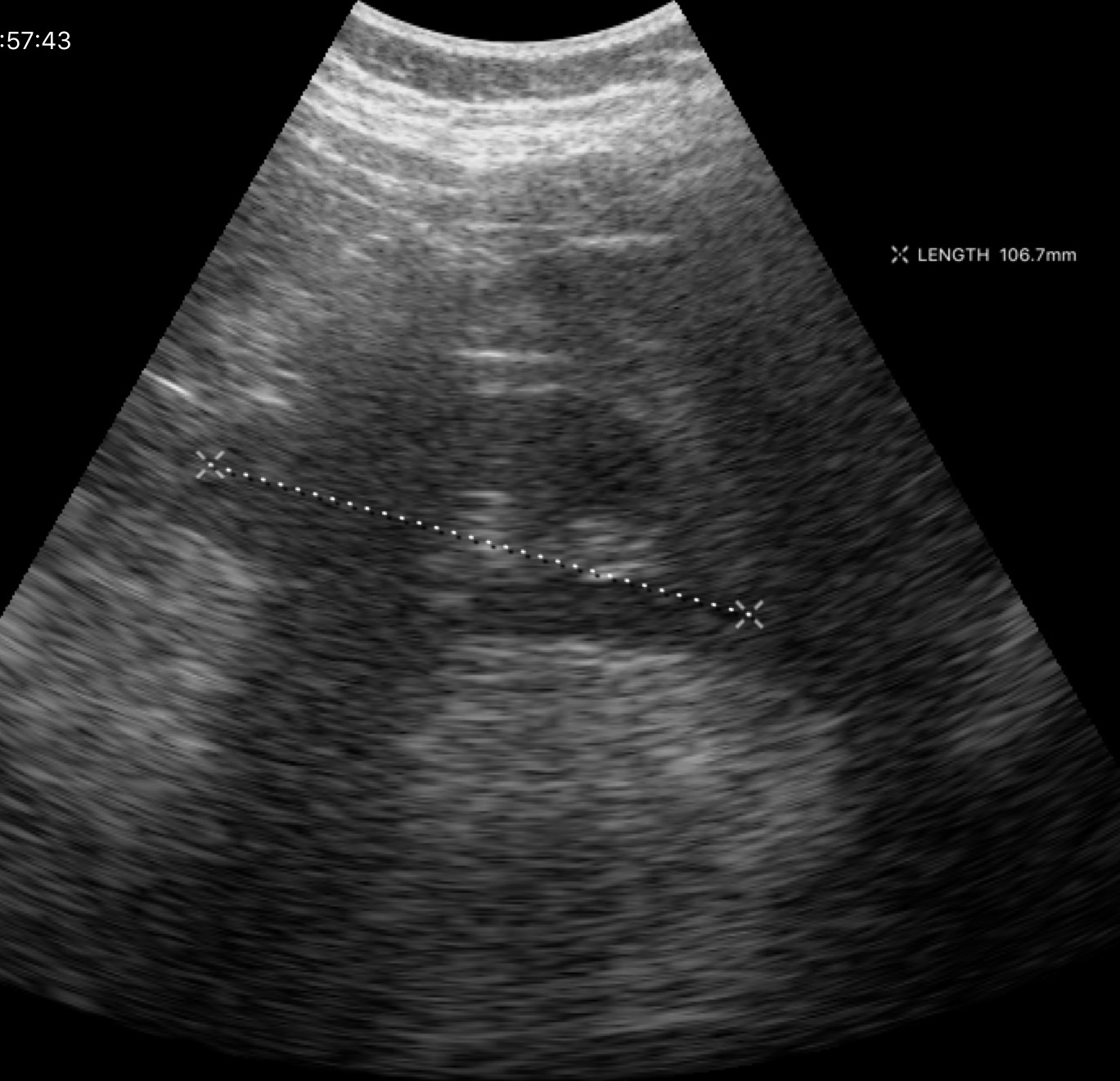
{"modality": {"type": "genitourinary ultrasound"}}